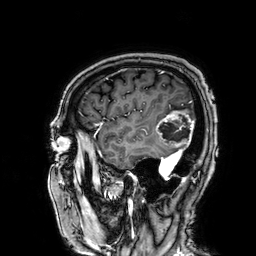
3 Tesla brain MRI. Series: 3D T1-weighted. Study: ring-enhancing brain masses.